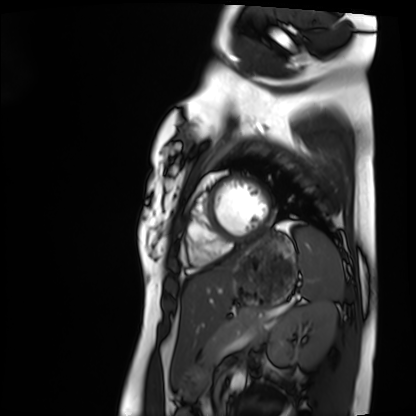
Cardiac MRI. Subject group: healthy volunteer.